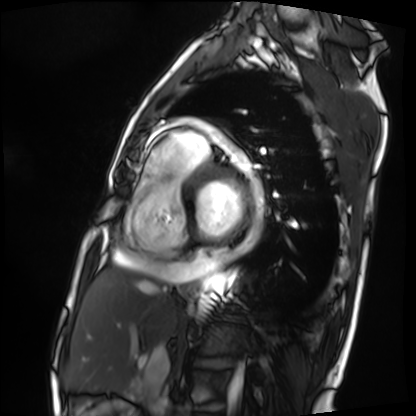
Q: What kind of scan is this?
A: Cardiac MRI.
Subject group: patient.